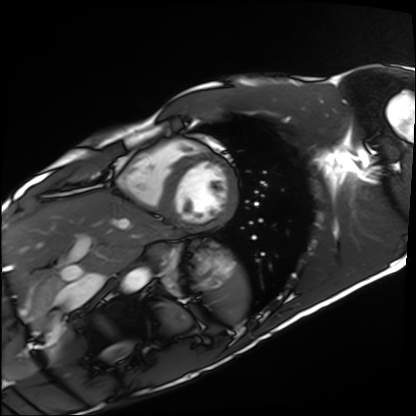
Cardiac MRI. Subject group: healthy volunteer.